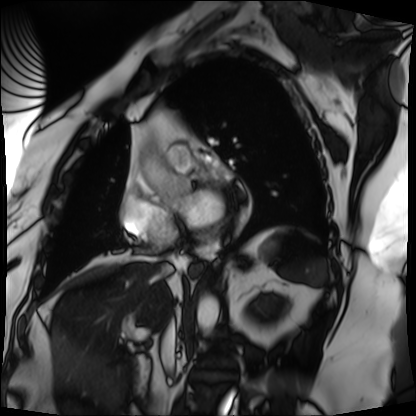
Cardiac MRI.
Subject group: patient.